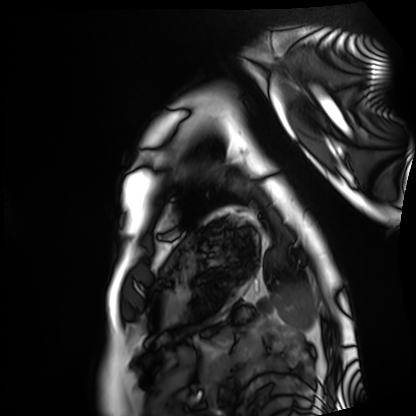
Case summary:
Cardiac MRI. Subject group: healthy volunteer.